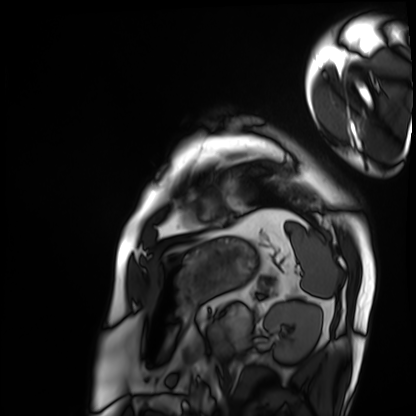
| field | value |
|---|---|
| modality | cardiac MRI |
| subject group | patient |